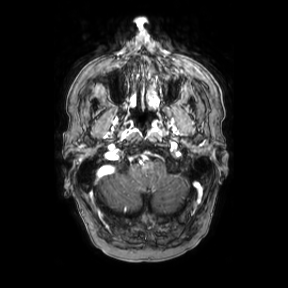
{"modality": {"type": "brain MRI", "field_strength": "3T"}, "series": "axial", "study_topic": "ring-enhancing brain masses"}